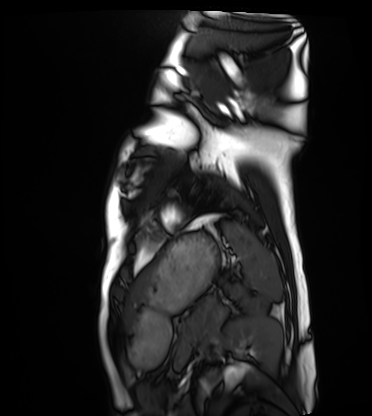
* modality · cardiac MRI
* subject group · healthy volunteer